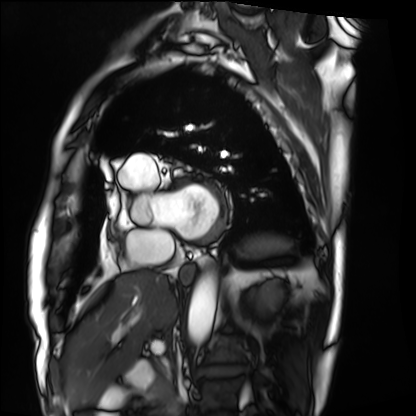
Cardiac MRI.
Subject group: patient.